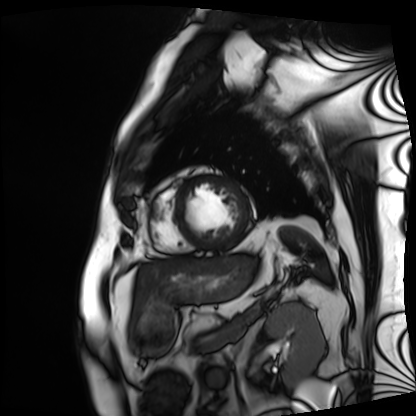
<record>
  <modality>cardiac MRI</modality>
  <cohort>patient</cohort>
</record>